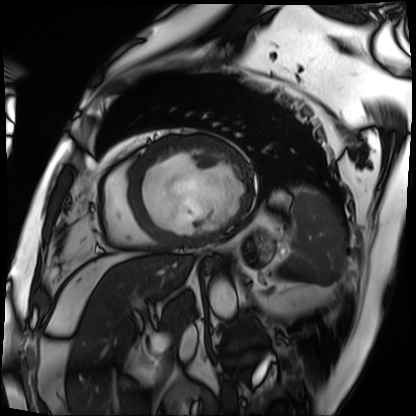
modality = cardiac MRI
subject group = patient